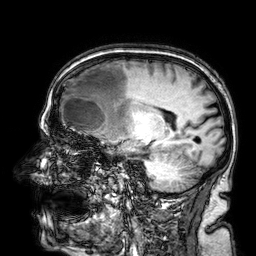
Case:
* modality · 3 Tesla brain MRI
* series · 3D T1-weighted
* study · ring-enhancing brain masses